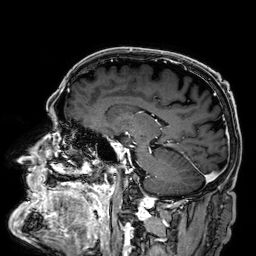
Summary: 3 Tesla brain MRI. Series: 3D T1-weighted. Study: ring-enhancing brain masses.